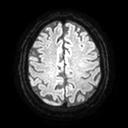
3 Tesla brain MRI. Series: diffusion tensor imaging (medium iso). Study: ring-enhancing brain masses.